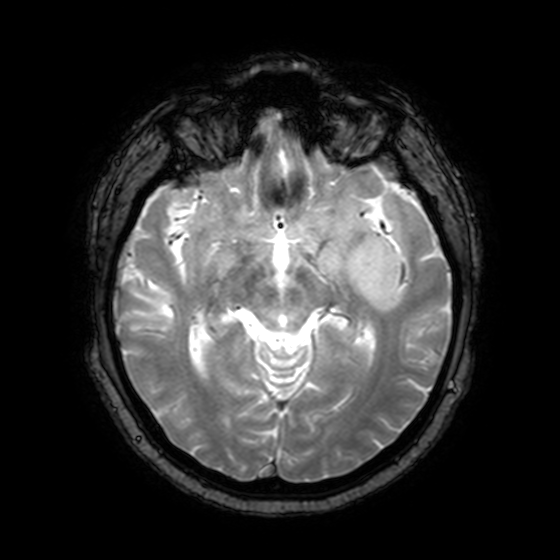
– modality: 3 Tesla brain MRI
– series: T2-weighted fast field echo with SENSE
– study: ring-enhancing brain masses